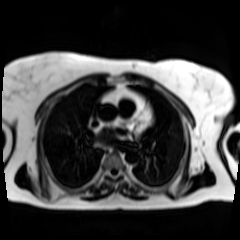
modality: chemical-shift-encoded cardiac MRI.